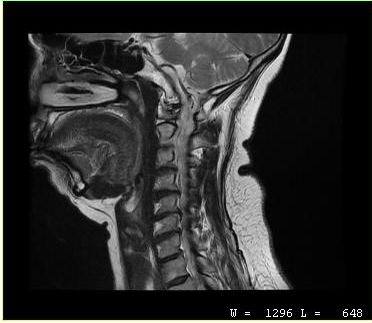
Q: What kind of scan is this?
A: MRI of the cervical spine.
Study: cervical spondylosis.